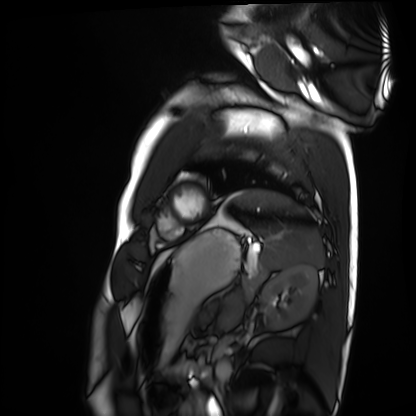
Case:
* modality · cardiac MRI
* subject group · healthy volunteer